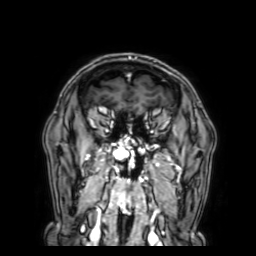
Clinical context:
3 Tesla brain MRI. Series: 3D T1-weighted with SENSE. Study: ring-enhancing brain masses.